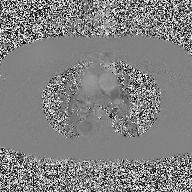
2D phase-contrast cine MRI of the ascending aorta, high-resolution GRAPPA acquisition.